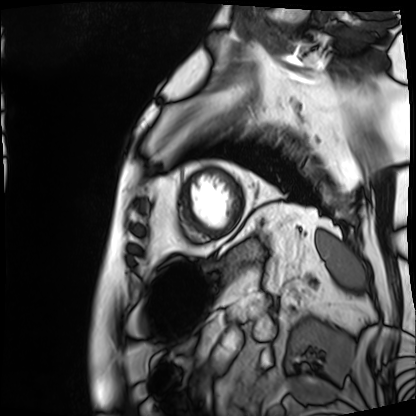
{
  "modality": "cardiac MRI",
  "cohort": "patient"
}